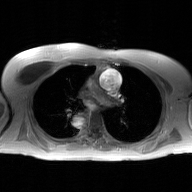
* modality: 2D phase-contrast cine MRI of the ascending aorta, GAN super-resolution reconstruction